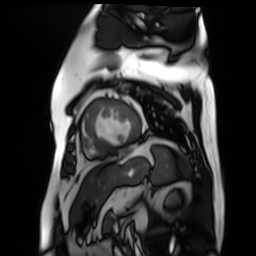
Cardiac MR image of the myocardium. Subject cohort: cardiac patient.